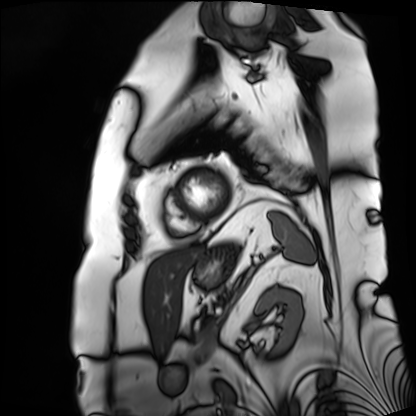
Cardiac MRI. Subject group: patient.